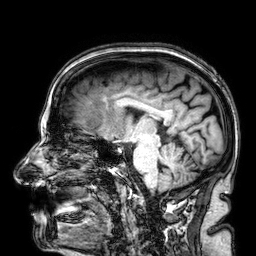
3 Tesla brain MRI. Study: ring-enhancing brain masses.